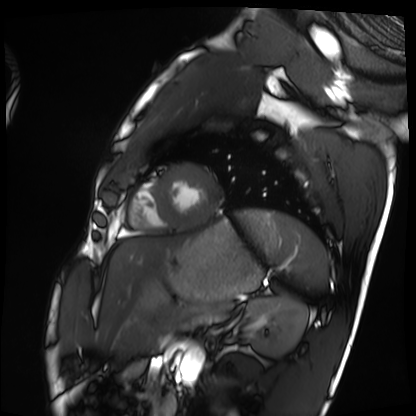
Summary:
Cardiac MRI. Subject group: healthy volunteer.